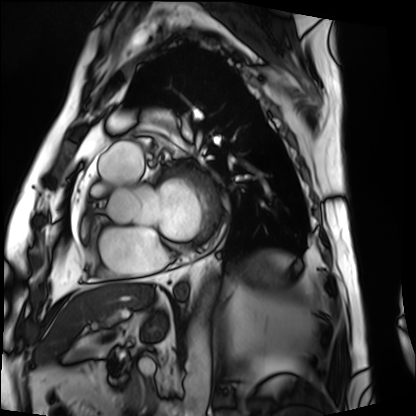
{"modality": "cardiac MRI", "cohort": "patient"}